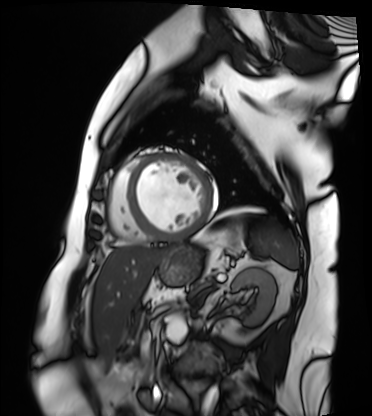
Cardiac MRI.
Subject group: patient.